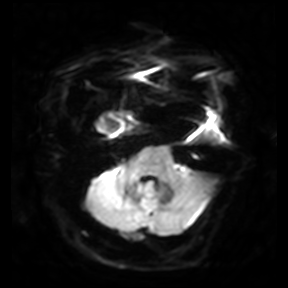
• modality — 3 Tesla brain MRI
• series — diffusion-weighted imaging
• study — ring-enhancing brain masses